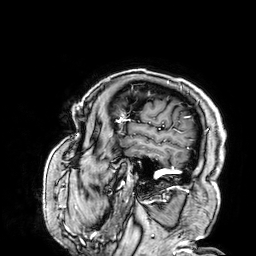
– modality · 3 Tesla brain MRI
– series · 3D T1-weighted
– study · ring-enhancing brain masses